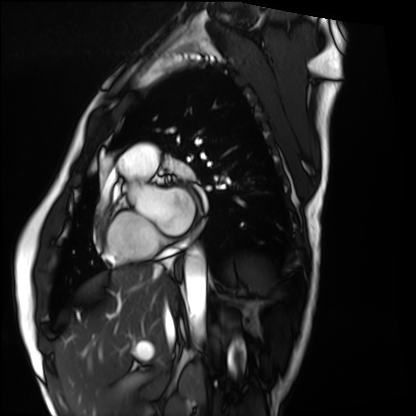
Cardiac MRI. Subject group: healthy volunteer.